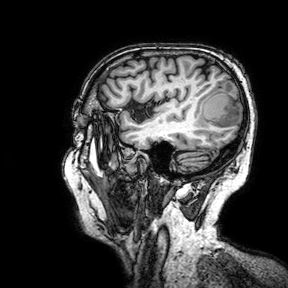
modality: 3 Tesla brain MRI
series: 3D T1-weighted turbo field echo with SENSE
study: ring-enhancing brain masses